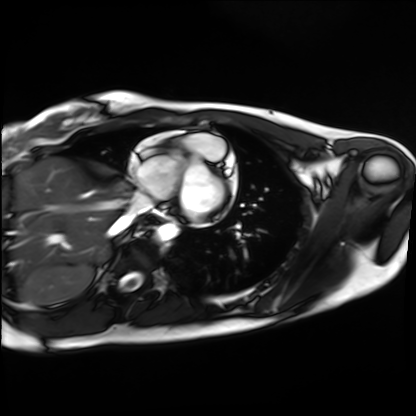
Case summary:
Cardiac MRI. Subject group: healthy volunteer.